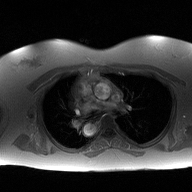
  modality:
    type: 2D phase-contrast cine MRI
    region: ascending aorta
    reconstruction: high-resolution GRAPPA acquisition